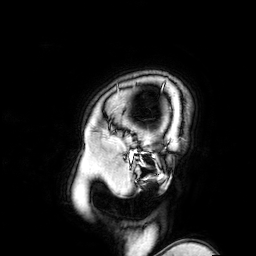
modality: 3 Tesla brain MRI; series: 3D T1-weighted turbo field echo with SENSE; study: ring-enhancing brain masses.